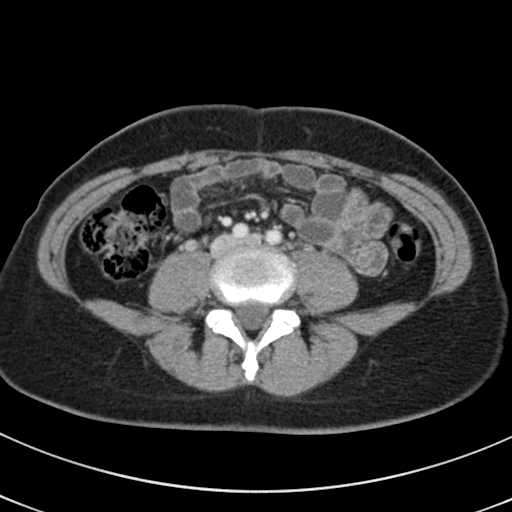
Multiphase abdominal CT, liver, portal venous phase.
Patient: female, age 37.